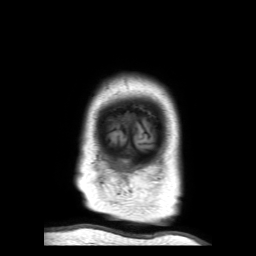
3 Tesla brain MRI.
Series: 3D T1-weighted TFE with SENSE.
Study: ring-enhancing brain masses.